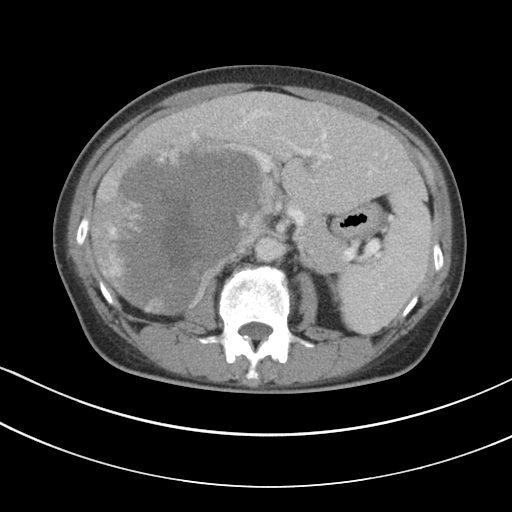
Multiphase abdominal CT, liver, portal venous phase. Patient: female, age 55.